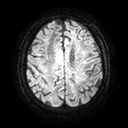
<scan>
<modality>
  <type>brain MRI</type>
  <field_strength>3T</field_strength>
</modality>
<series>diffusion tensor imaging (medium iso)</series>
<study_topic>ring-enhancing brain masses</study_topic>
</scan>